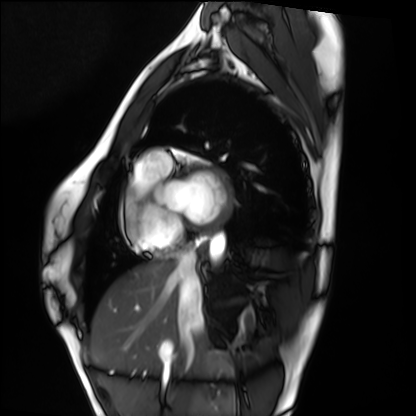
Cardiac MRI.
Subject group: healthy volunteer.